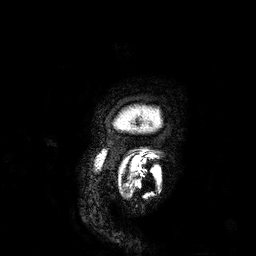
3 Tesla brain MRI. Series: 3D T1-weighted. Study: ring-enhancing brain masses.